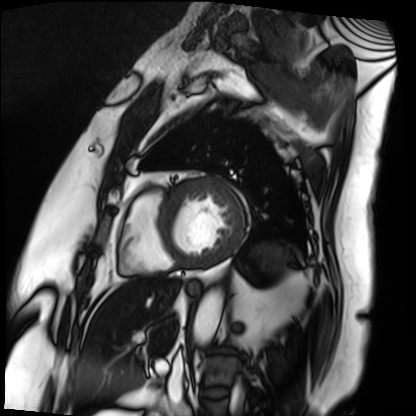
Cardiac MRI. Subject group: patient.